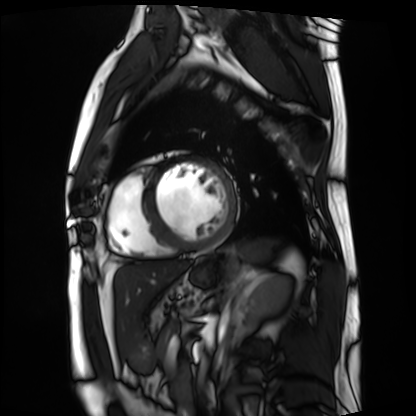
* modality: cardiac MRI
* subject group: patient